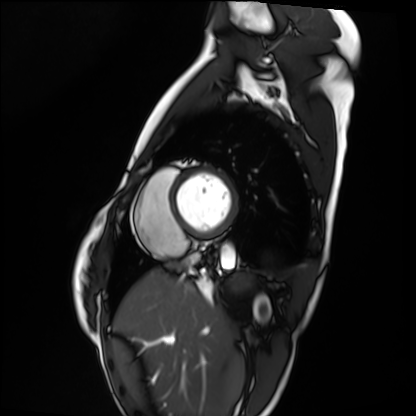
Summary: Cardiac MRI. Subject group: healthy volunteer.